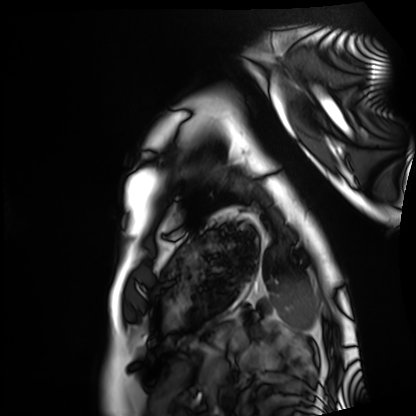
Summary:
Cardiac MRI. Subject group: healthy volunteer.